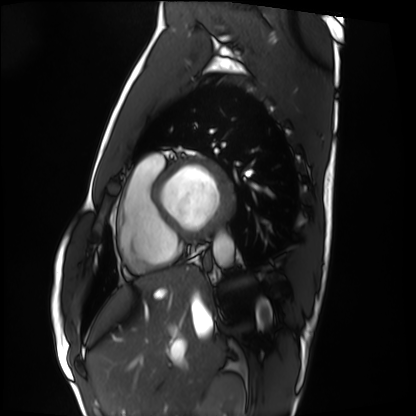
modality=cardiac MRI
subject group=healthy volunteer